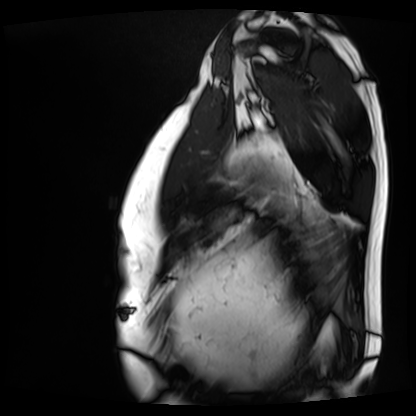
Case:
- modality · cardiac MRI
- subject group · patient